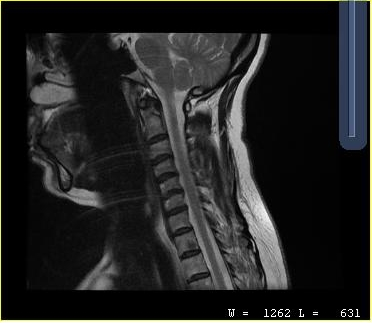
modality: MRI of the cervical spine
study: cervical spondylosis